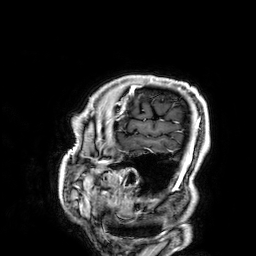
modality — 3 Tesla brain MRI
series — 3D T1-weighted
study — ring-enhancing brain masses